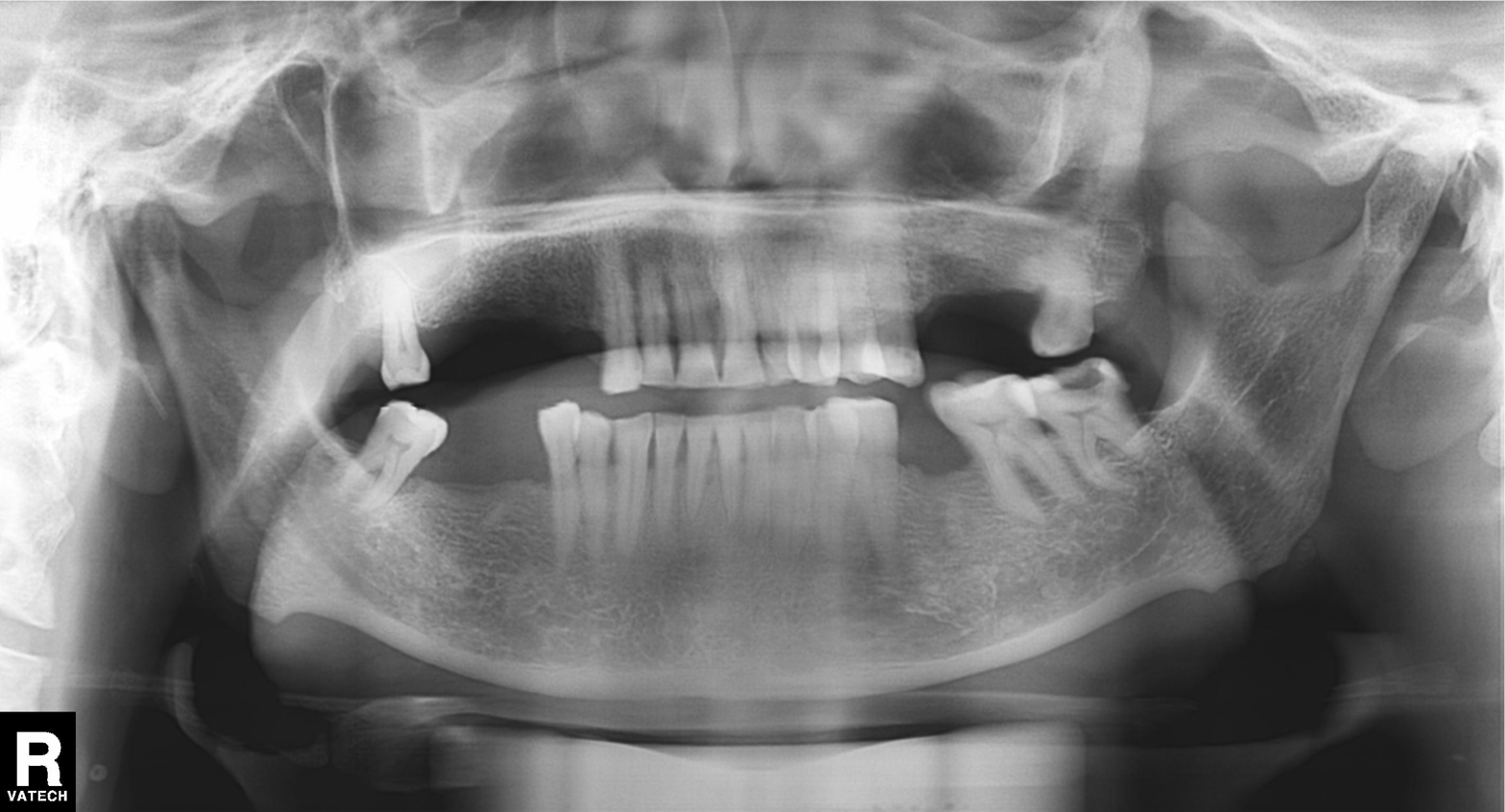
modality=panoramic dental radiograph (orthopantomogram); finding=alveolar bone loss.